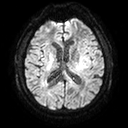
Q: What kind of scan is this?
A: 3 Tesla brain MRI.
Q: Series?
A: Diffusion tensor imaging (medium iso).
Study: ring-enhancing brain masses.